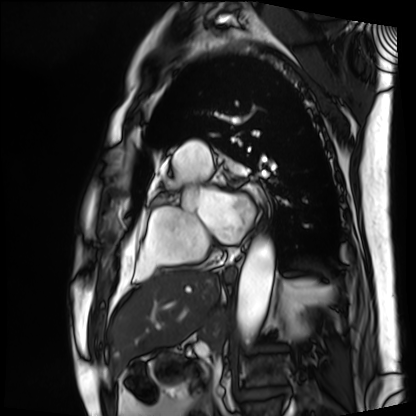
Cardiac MRI. Subject group: patient.